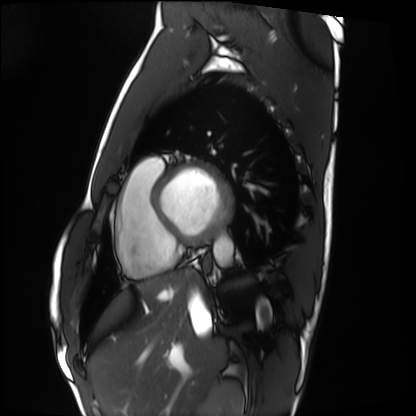
Cardiac MRI. Subject group: healthy volunteer.